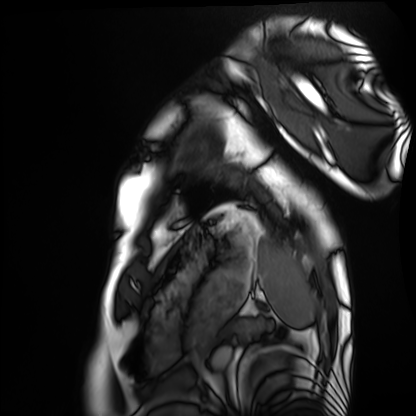
modality = cardiac MRI
subject group = healthy volunteer